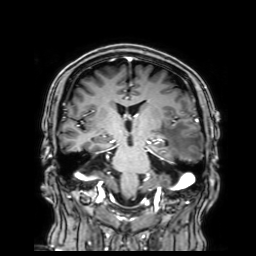
Clinical context: 3 Tesla brain MRI. Series: 3D T1-weighted with SENSE. Study: ring-enhancing brain masses.